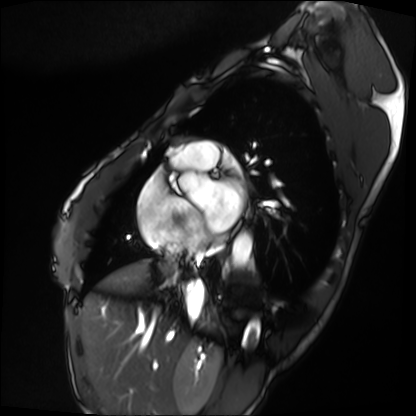
Case summary: Cardiac MRI. Subject group: patient.